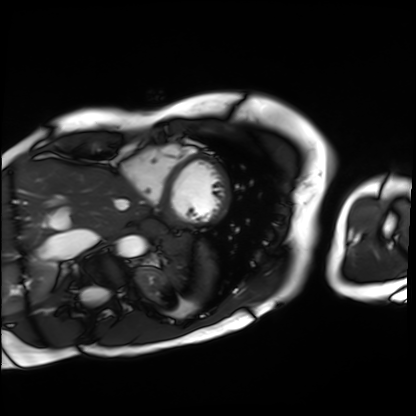
Case:
* modality — cardiac MRI
* subject group — patient